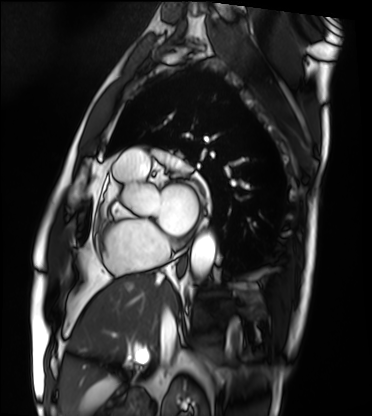
Cardiac MRI. Subject group: patient.